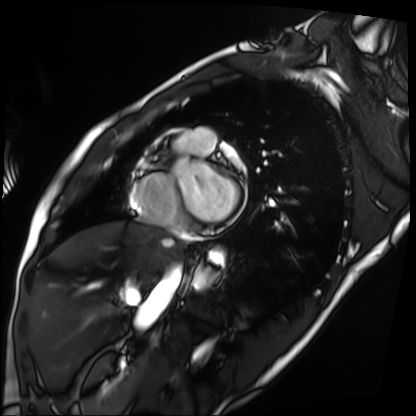
| field | value |
|---|---|
| modality | cardiac MRI |
| subject group | patient |